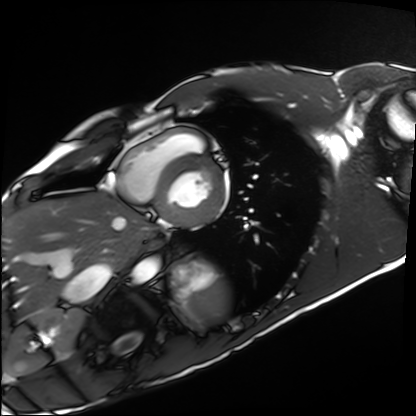
Cardiac MRI. Subject group: healthy volunteer.